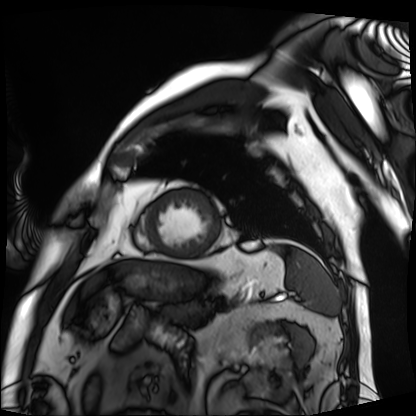
Cardiac MRI. Subject group: patient.